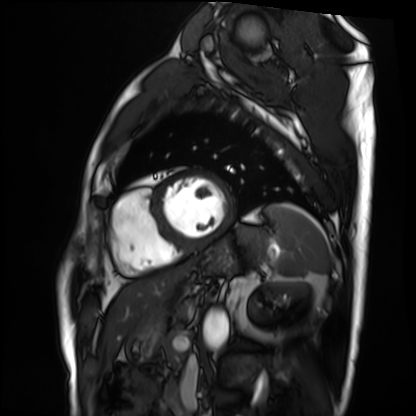
modality: cardiac MRI
cohort: patient